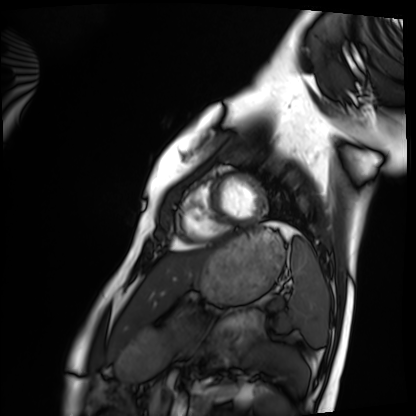
Summary: Cardiac MRI. Subject group: healthy volunteer.